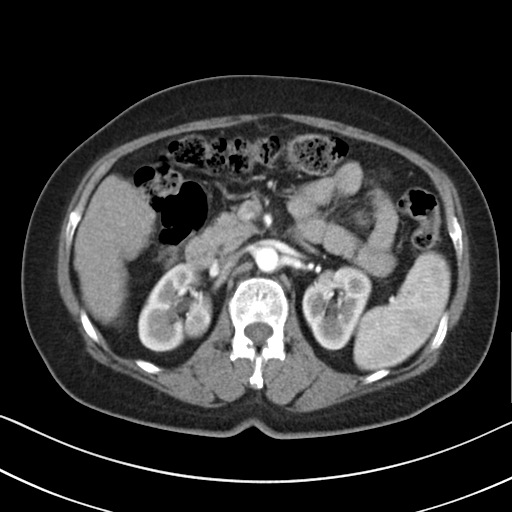
modality: multiphase abdominal CT, liver, arterial phase | patient: female, age 64.